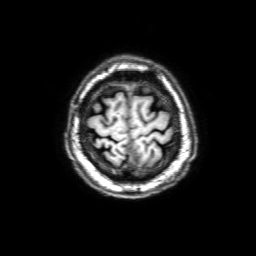
Summary: 3 Tesla brain MRI. Series: 3D T1-weighted with SENSE. Study: ring-enhancing brain masses.